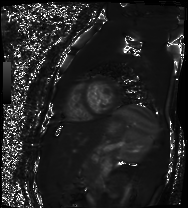
Clinical context: Cardiac MR image of the myocardium. Subject cohort: healthy volunteer.